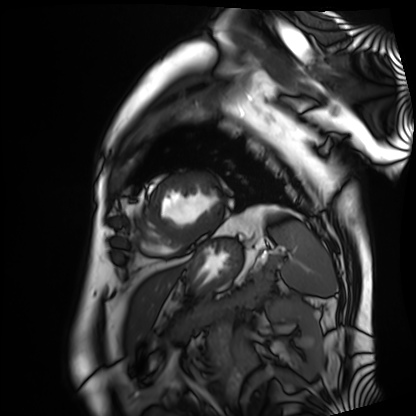
{"modality": "cardiac MRI", "cohort": "patient"}